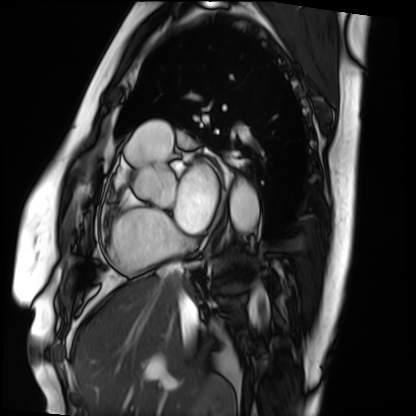
Q: What kind of scan is this?
A: Cardiac MRI.
Subject group: patient.